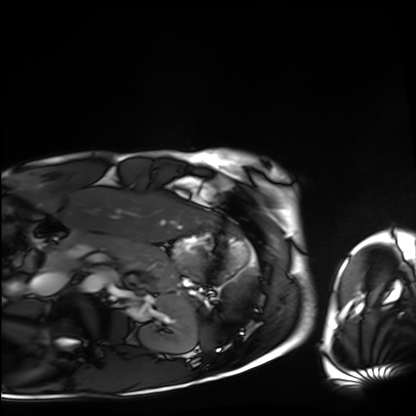
modality = cardiac MRI, subject group = healthy volunteer.